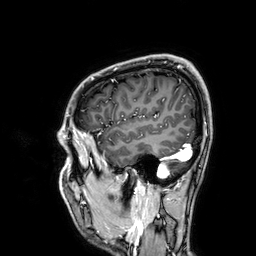
3 Tesla brain MRI.
Series: 3D T1-weighted.
Study: ring-enhancing brain masses.